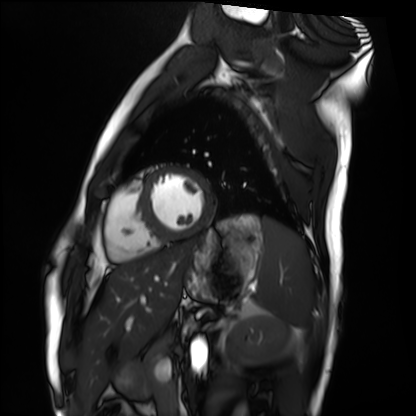
Q: What kind of scan is this?
A: Cardiac MRI.
Subject group: healthy volunteer.